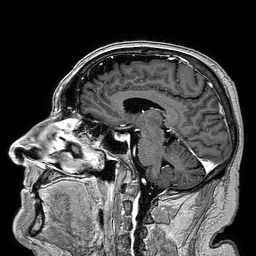
- modality · 3 Tesla brain MRI
- series · 3D T1-weighted turbo field echo
- study · ring-enhancing brain masses